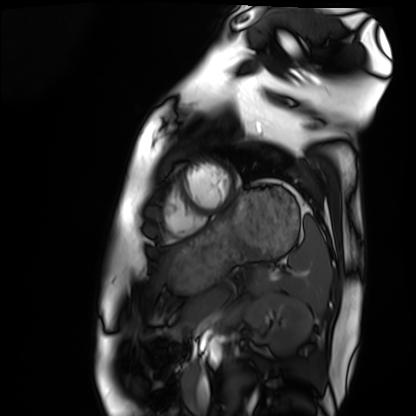
* modality · cardiac MRI
* subject group · healthy volunteer